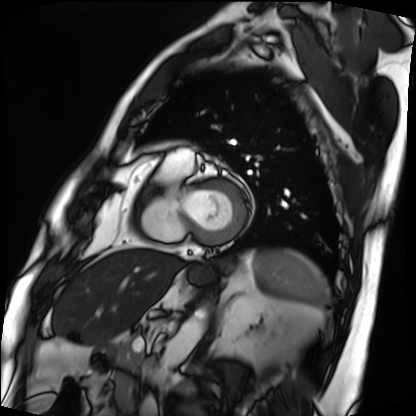
{"modality": "cardiac MRI", "cohort": "patient"}